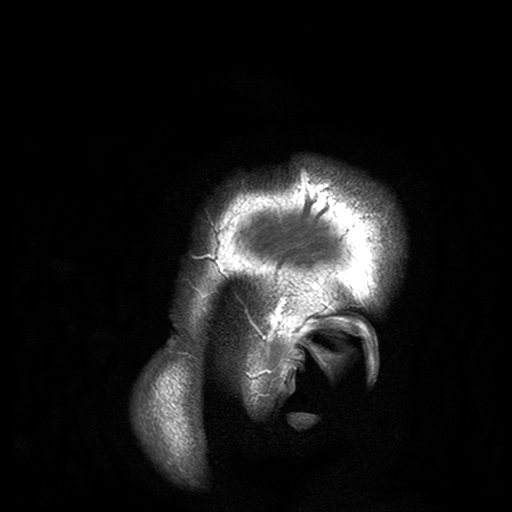
Q: What kind of scan is this?
A: 3 Tesla brain MRI.
Q: Series?
A: T2-weighted turbo spin echo with SENSE.
Study: ring-enhancing brain masses.